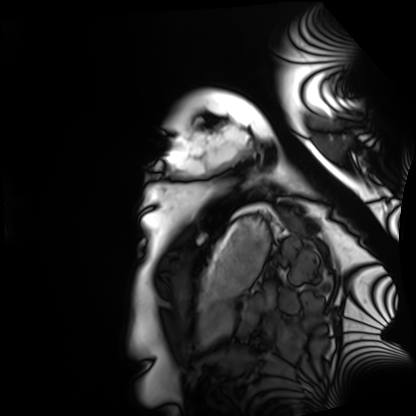
Clinical context: Cardiac MRI. Subject group: healthy volunteer.